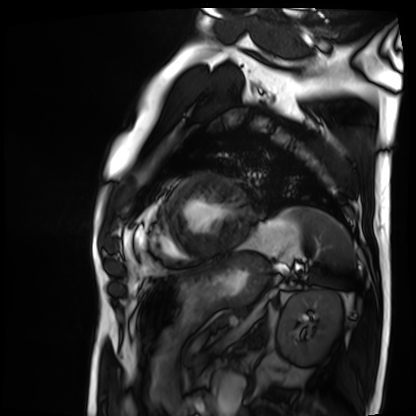
Cardiac MRI.
Subject group: patient.